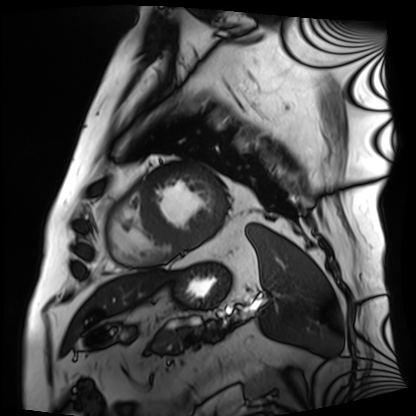
Summary:
Cardiac MRI. Subject group: patient.